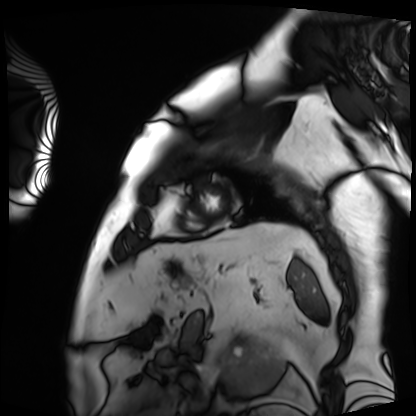
Clinical context:
Cardiac MRI. Subject group: patient.